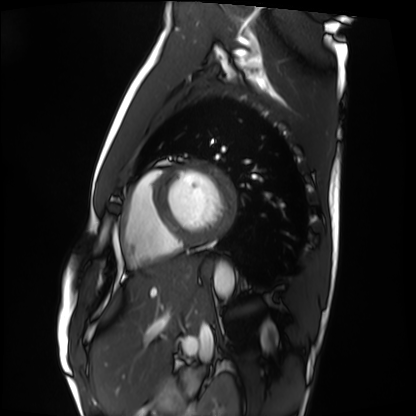
Cardiac MRI. Subject group: healthy volunteer.